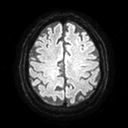
3 Tesla brain MRI.
Series: diffusion tensor imaging (medium iso).
Study: ring-enhancing brain masses.